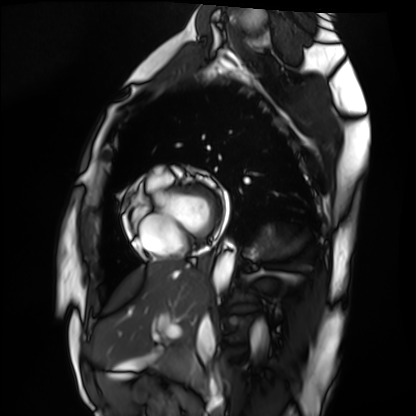
Cardiac MRI.
Subject group: healthy volunteer.